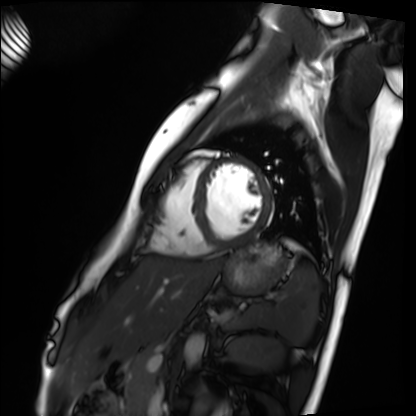
<study>
  <modality>cardiac MRI</modality>
  <cohort>healthy volunteer</cohort>
</study>